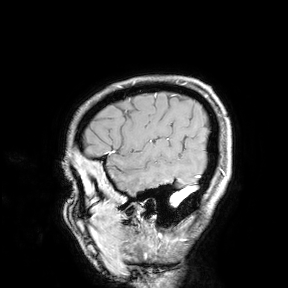
Q: What kind of scan is this?
A: 3 Tesla brain MRI.
Study: ring-enhancing brain masses.